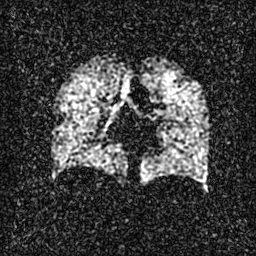
Summary: Hyperpolarized 129Xe ventilation MRI of the lungs. SNR level 3 of 8 (the deposit holds this scan as its native image and as seven SNR-degraded versions).